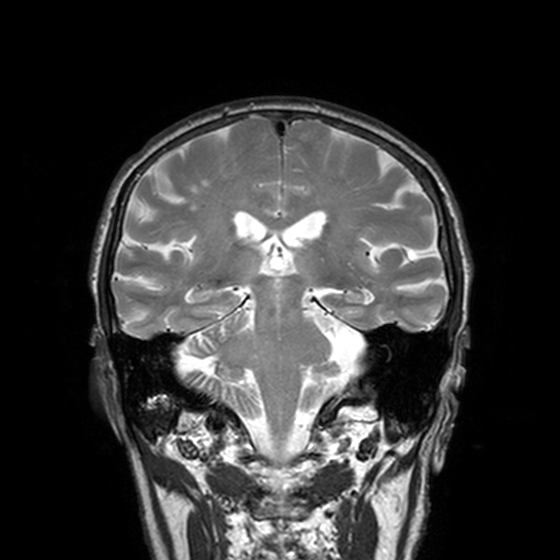
Summary:
3 Tesla brain MRI. Series: T2-weighted turbo spin echo, 3 mm. Study: ring-enhancing brain masses.